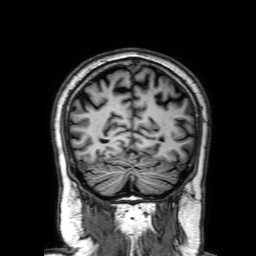
3 Tesla brain MRI. Series: 3D T1-weighted with SENSE. Study: ring-enhancing brain masses.